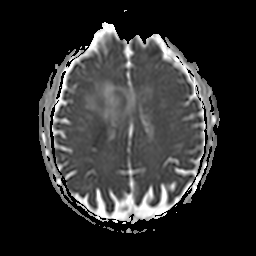
3 Tesla brain MRI.
Series: apparent diffusion coefficient (ADC) map.
Study: ring-enhancing brain masses.